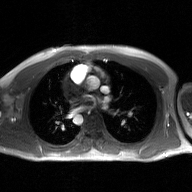
2D phase-contrast cine MRI of the ascending aorta, GAN super-resolution reconstruction.